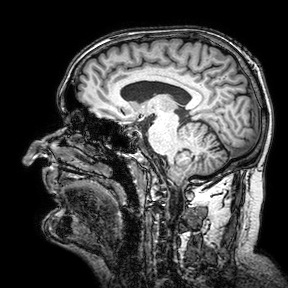
{"modality": {"type": "brain MRI", "field_strength": "3T"}, "series": "3D T1-weighted turbo field echo with SENSE", "study_topic": "ring-enhancing brain masses"}